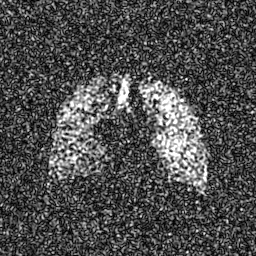
Hyperpolarized 129Xe ventilation MRI of the lungs. SNR level 8 of 8 (the deposit holds this scan as its native image and as seven SNR-degraded versions).